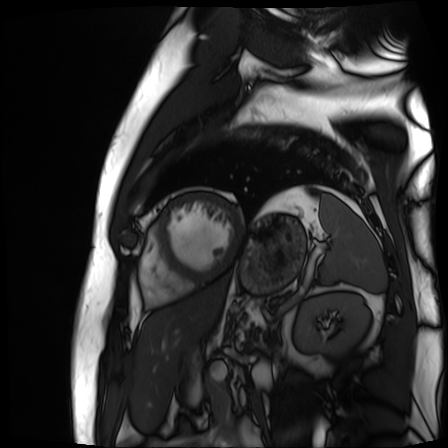
modality = cardiac MR image of the myocardium
subject cohort = cardiac patient